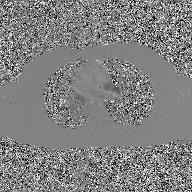
Case summary:
2D phase-contrast cine MRI of the ascending aorta, GAN super-resolution reconstruction.